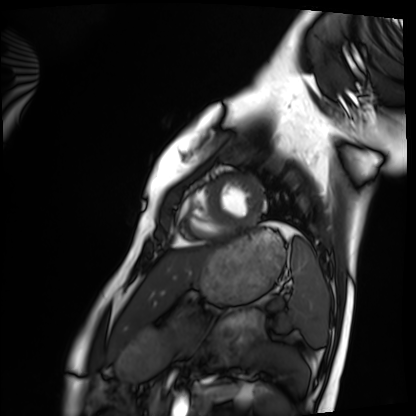
Cardiac MRI. Subject group: healthy volunteer.